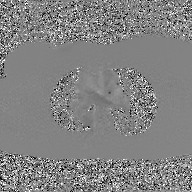
Case:
– modality: 2D phase-contrast cine MRI of the ascending aorta, GAN super-resolution reconstruction